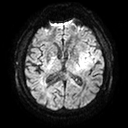
Q: What kind of scan is this?
A: 3 Tesla brain MRI.
Study: ring-enhancing brain masses.